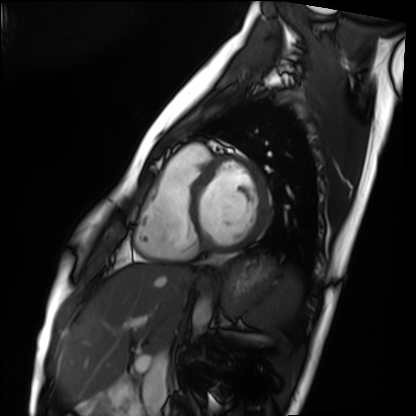
Cardiac MRI. Subject group: healthy volunteer.